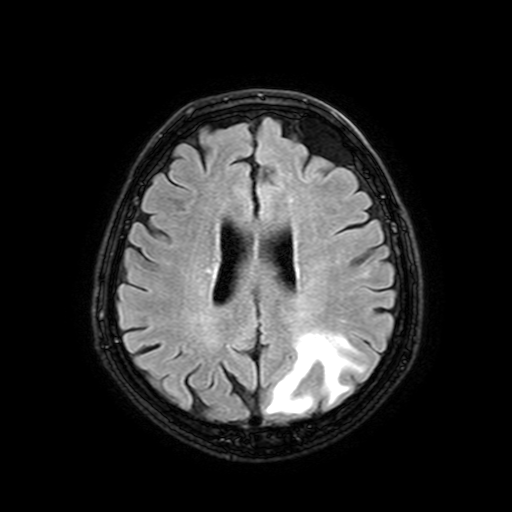
3 Tesla brain MRI.
Series: FLAIR with SPAIR, 3 mm.
Study: ring-enhancing brain masses.